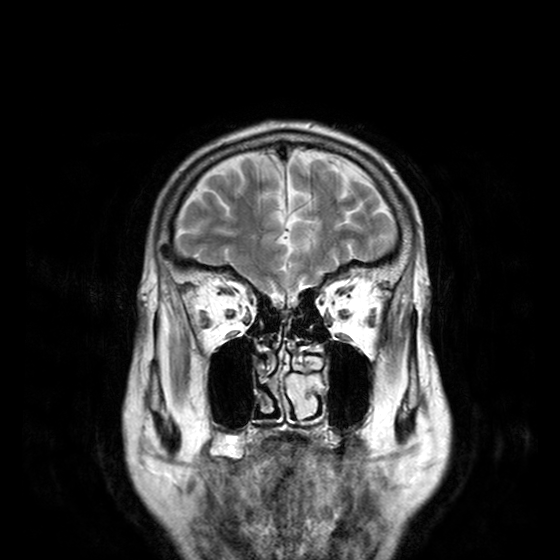
Summary: 3 Tesla brain MRI. Series: T2-weighted turbo spin echo with CLEAR. Study: ring-enhancing brain masses.